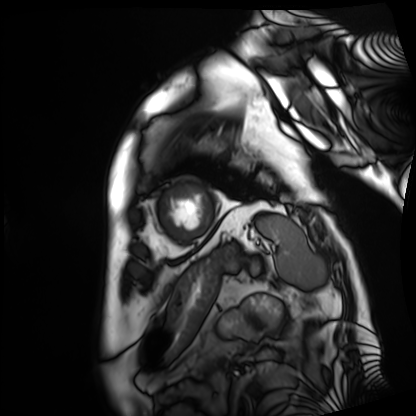
Cardiac MRI. Subject group: patient.